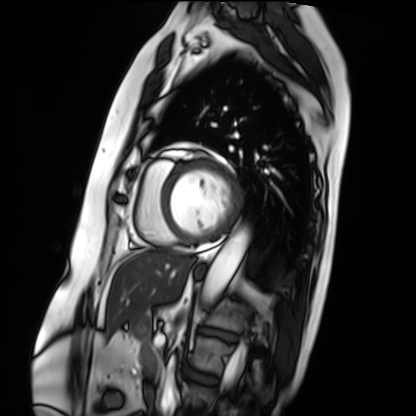
- modality: cardiac MRI
- subject group: patient